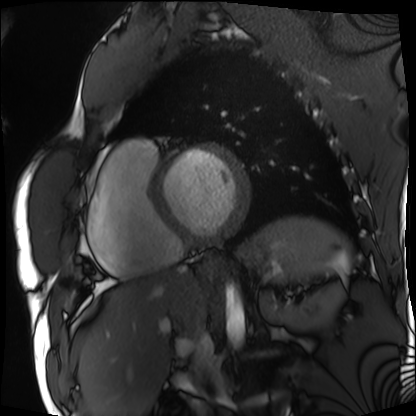
Cardiac MRI.
Subject group: patient.